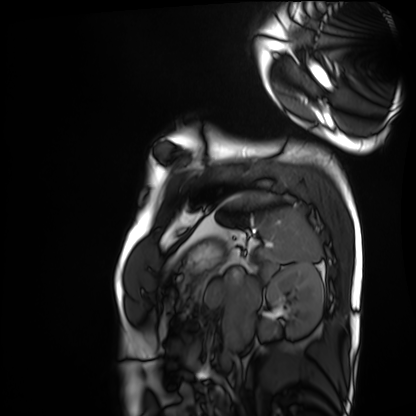
- modality — cardiac MRI
- subject group — healthy volunteer